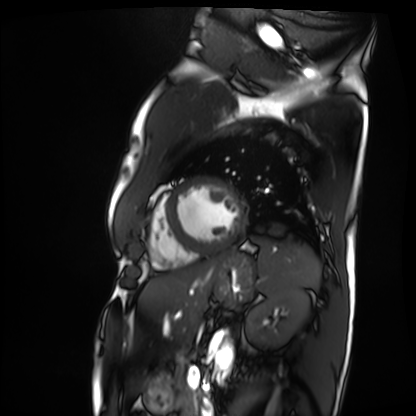
Cardiac MRI. Subject group: patient.